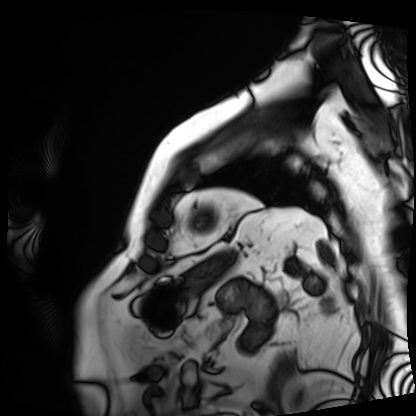
* modality · cardiac MRI
* subject group · patient